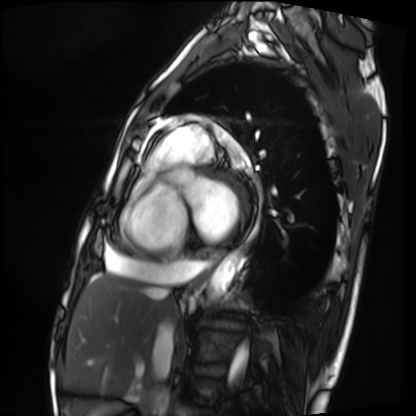
Cardiac MRI.
Subject group: patient.